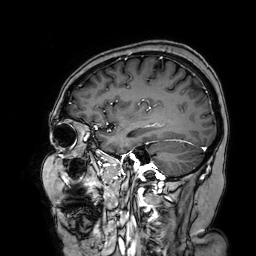
3 Tesla brain MRI.
Study: ring-enhancing brain masses.